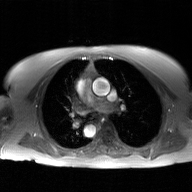
Summary: 2D phase-contrast cine MRI of the ascending aorta, GAN super-resolution reconstruction.